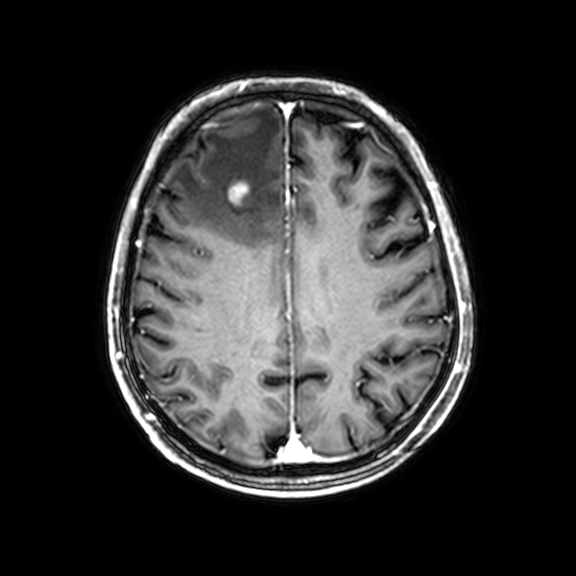
* modality: 3 Tesla brain MRI
* series: 3D T1-weighted with CLEAR
* study: ring-enhancing brain masses